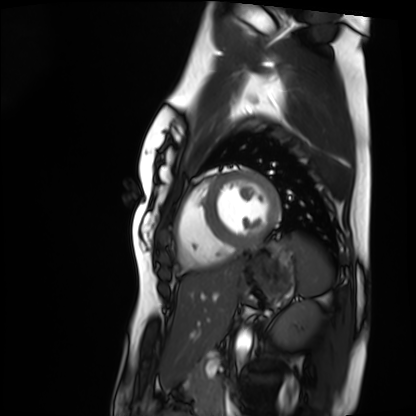
Case summary:
Cardiac MRI. Subject group: healthy volunteer.